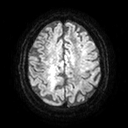
  modality:
    type: brain MRI
    field_strength: 3T
  study_topic: ring-enhancing brain masses